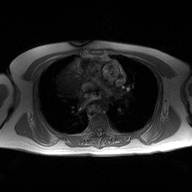
– modality — 2D phase-contrast cine MRI of the ascending aorta